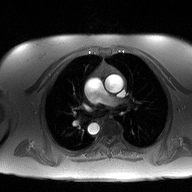
modality: 2D phase-contrast cine MRI of the ascending aorta.